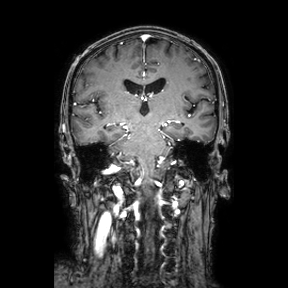
3 Tesla brain MRI. Series: coronal. Study: ring-enhancing brain masses.